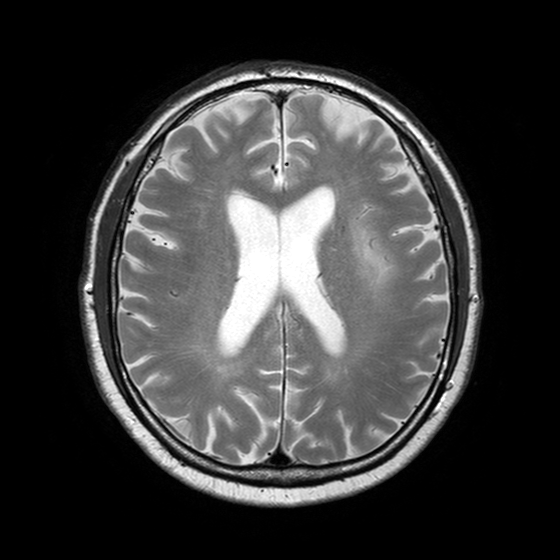
  modality:
    type: brain MRI
    field_strength: 3T
  series: T2-weighted turbo spin echo with SENSE
  study_topic: ring-enhancing brain masses